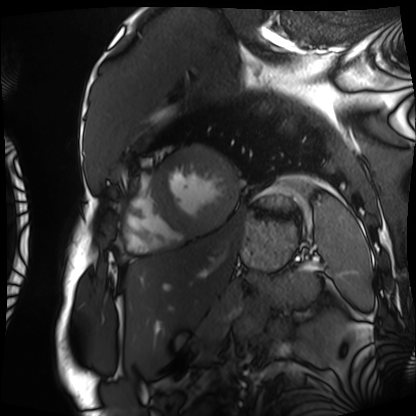
Cardiac MRI. Subject group: patient.